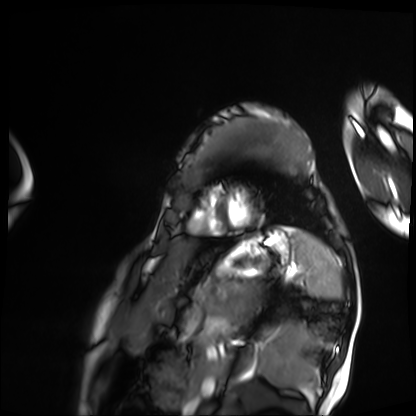
modality — cardiac MRI; subject group — patient.